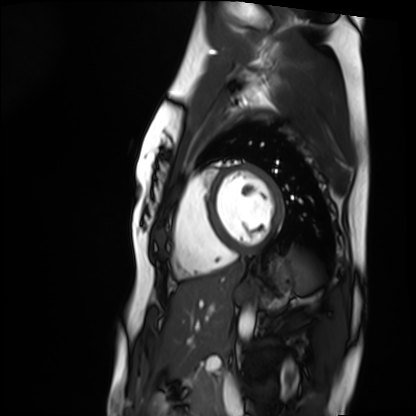
Clinical context:
Cardiac MRI. Subject group: healthy volunteer.